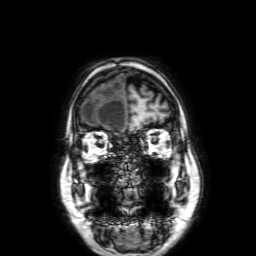
Case summary: 3 Tesla brain MRI. Series: 3D T1-weighted with SENSE. Study: ring-enhancing brain masses.